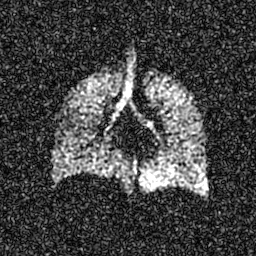
Hyperpolarized 129Xe ventilation MRI of the lungs.